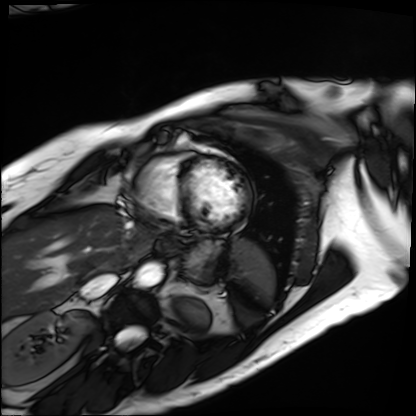
{"modality": "cardiac MRI", "cohort": "patient"}